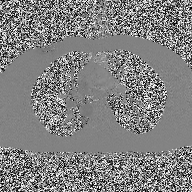
Case summary:
2D phase-contrast cine MRI of the ascending aorta, high-resolution GRAPPA acquisition.